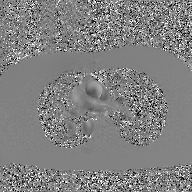
modality = 2D phase-contrast cine MRI of the ascending aorta, GAN super-resolution reconstruction.